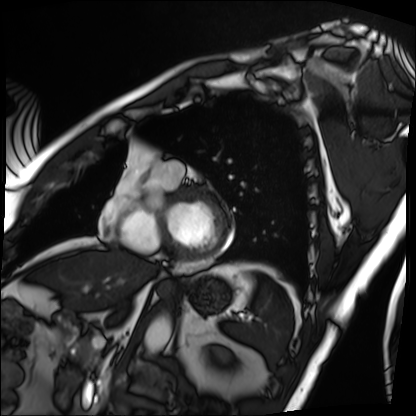
Case:
- modality: cardiac MRI
- subject group: patient